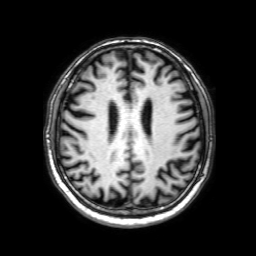
  modality:
    type: brain MRI
    field_strength: 3T
  series: 3D T1-weighted with SENSE
  study_topic: ring-enhancing brain masses